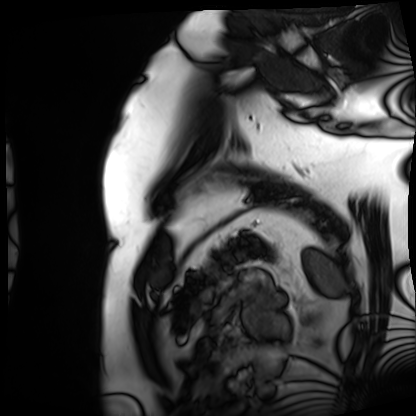
modality: cardiac MRI | subject group: patient.